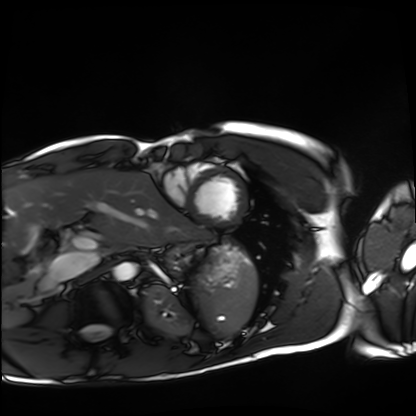
Cardiac MRI. Subject group: healthy volunteer.